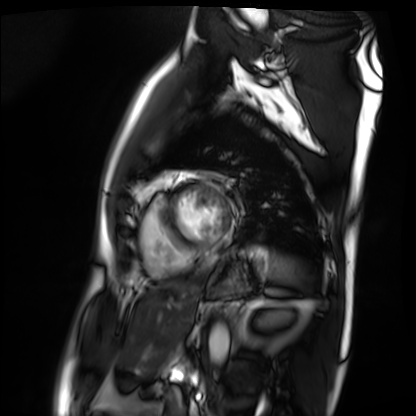
Case:
* modality · cardiac MRI
* subject group · patient